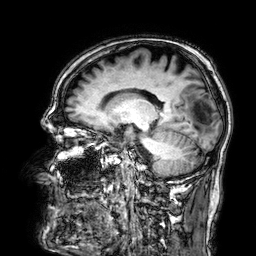
modality = 3 Tesla brain MRI; series = 3D T1-weighted; study = ring-enhancing brain masses.